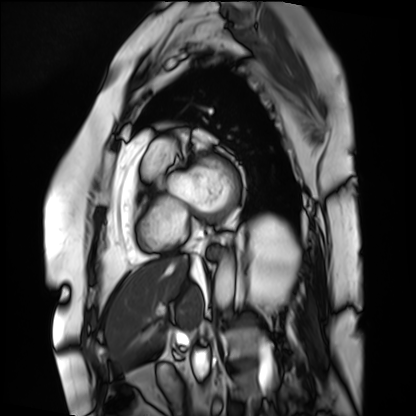
Summary: Cardiac MRI. Subject group: patient.